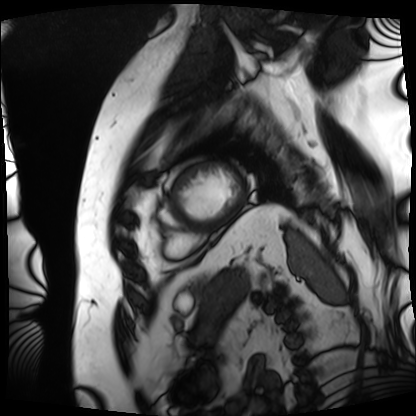
Cardiac MRI. Subject group: patient.